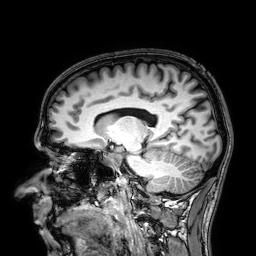
3 Tesla brain MRI.
Series: 3D T1-weighted.
Study: ring-enhancing brain masses.